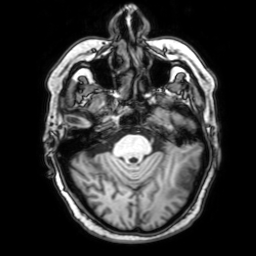
modality=3 Tesla brain MRI
series=3D T1-weighted with SENSE
study=ring-enhancing brain masses